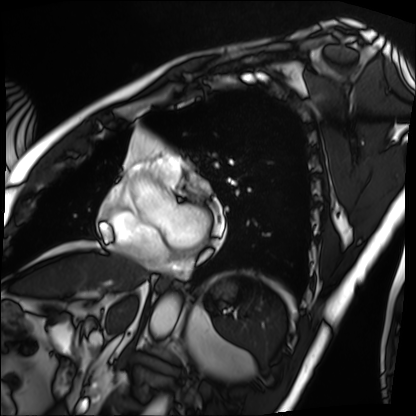
Case:
- modality — cardiac MRI
- subject group — patient